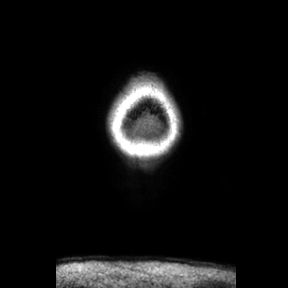
modality = 3 Tesla brain MRI; series = coronal; study = ring-enhancing brain masses.